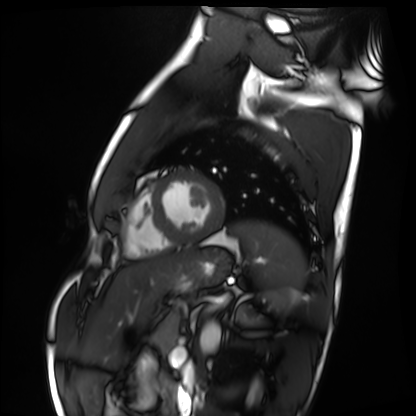
Cardiac MRI. Subject group: healthy volunteer.